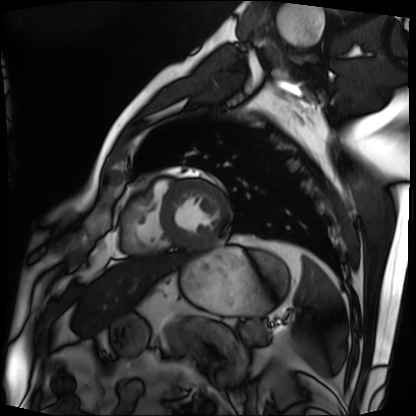
Clinical context:
Cardiac MRI. Subject group: patient.